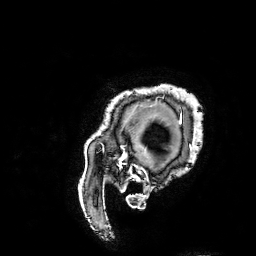
Summary:
3 Tesla brain MRI. Series: 3D T1-weighted turbo field echo with SENSE. Study: ring-enhancing brain masses.